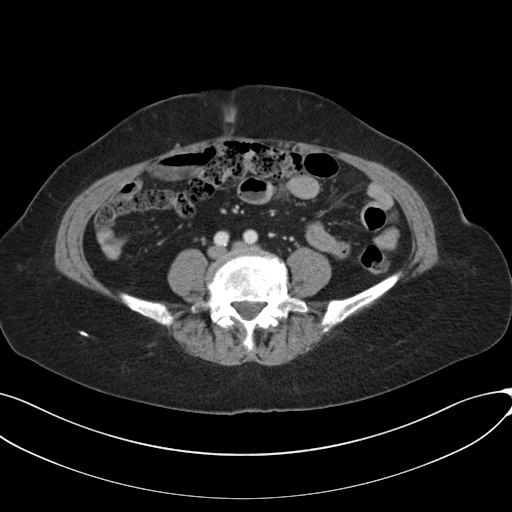
modality = multiphase abdominal CT, liver, portal venous phase; patient = female, age 73; history = prior chemotherapy.